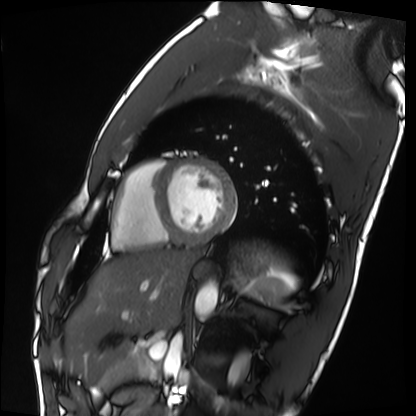
- modality: cardiac MRI
- subject group: healthy volunteer